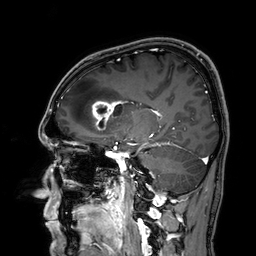
Summary: 3 Tesla brain MRI. Series: 3D T1-weighted. Study: ring-enhancing brain masses.